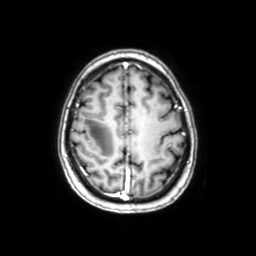
modality:
  type: brain MRI
  field_strength: 3T
series: axial with contrast
study_topic: ring-enhancing brain masses